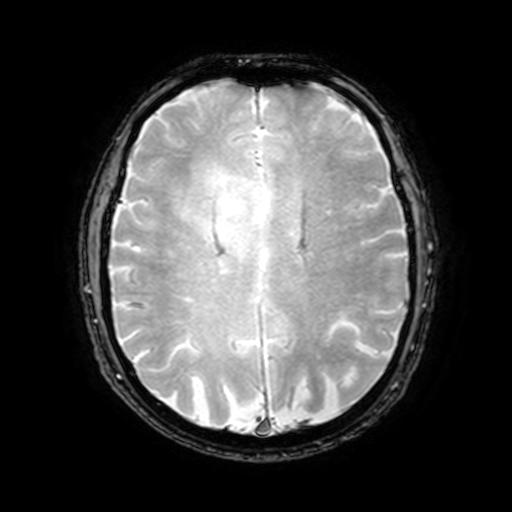
Q: What kind of scan is this?
A: 3 Tesla brain MRI.
Q: Series?
A: T2-weighted fast field echo with SENSE.
Study: ring-enhancing brain masses.